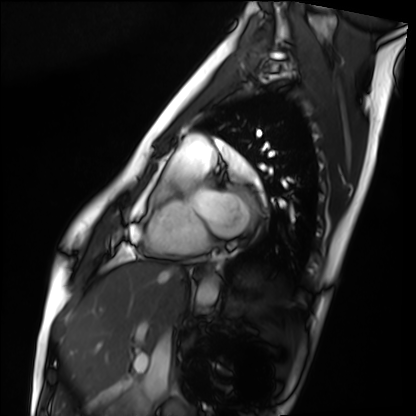
Summary:
Cardiac MRI. Subject group: healthy volunteer.